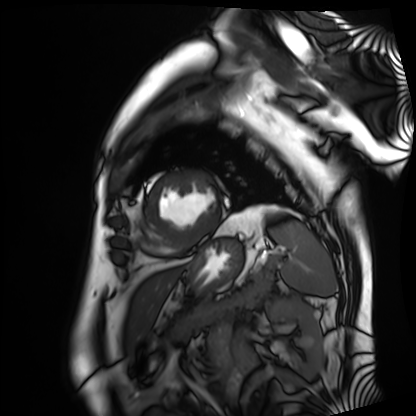
| field | value |
|---|---|
| modality | cardiac MRI |
| subject group | patient |